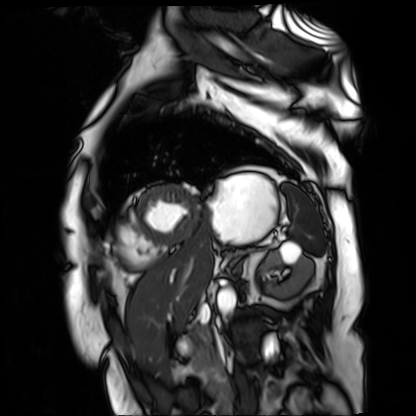
modality: cardiac MR image of the myocardium | subject cohort: cardiac patient.